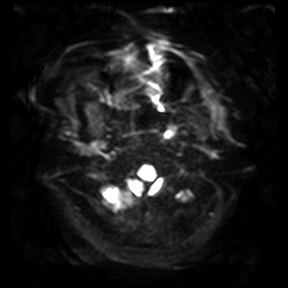
| field | value |
|---|---|
| modality | 3 Tesla brain MRI |
| series | diffusion-weighted imaging |
| study | ring-enhancing brain masses |